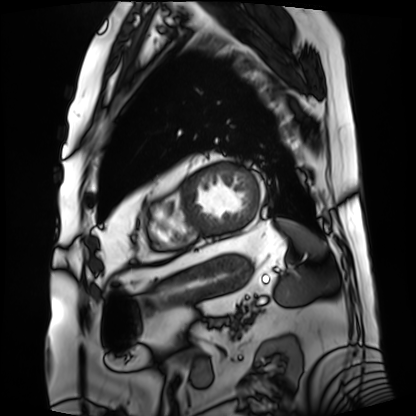
<study>
  <modality>cardiac MRI</modality>
  <cohort>patient</cohort>
</study>